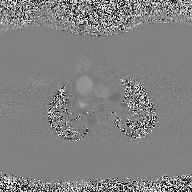
<study>
  <modality>
    <type>2D phase-contrast cine MRI</type>
    <region>ascending aorta</region>
    <reconstruction>high-resolution GRAPPA acquisition</reconstruction>
  </modality>
</study>